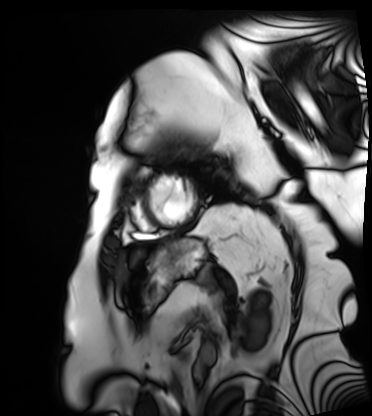
Cardiac MRI. Subject group: patient.